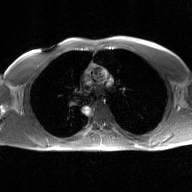
2D phase-contrast cine MRI of the ascending aorta, GAN super-resolution reconstruction.